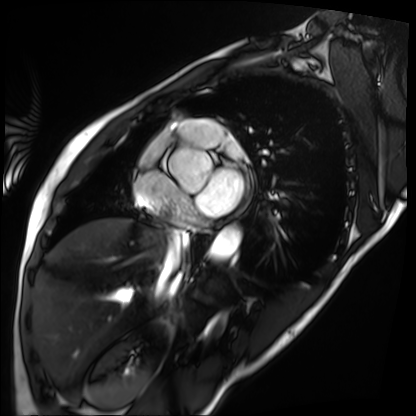
Summary:
Cardiac MRI. Subject group: patient.